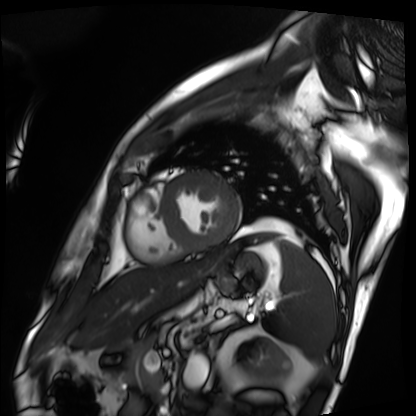
{"modality": "cardiac MRI", "cohort": "patient"}